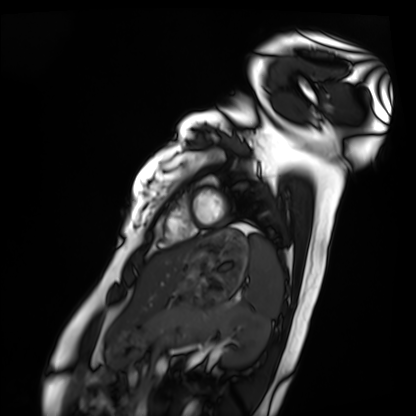
| field | value |
|---|---|
| modality | cardiac MRI |
| subject group | healthy volunteer |